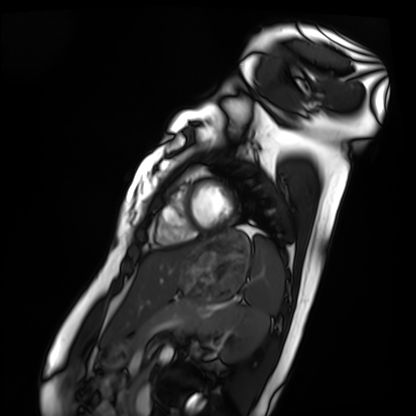
Case:
• modality · cardiac MRI
• subject group · healthy volunteer